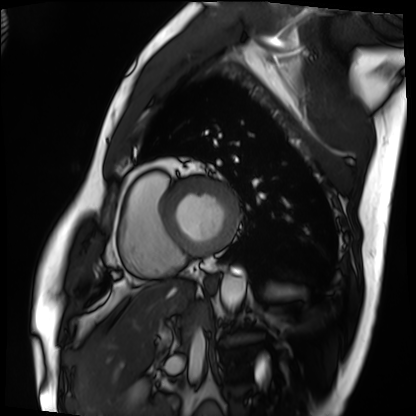
modality: cardiac MRI, subject group: patient.